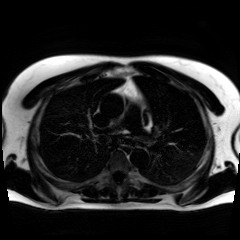
Chemical-shift-encoded cardiac MRI.